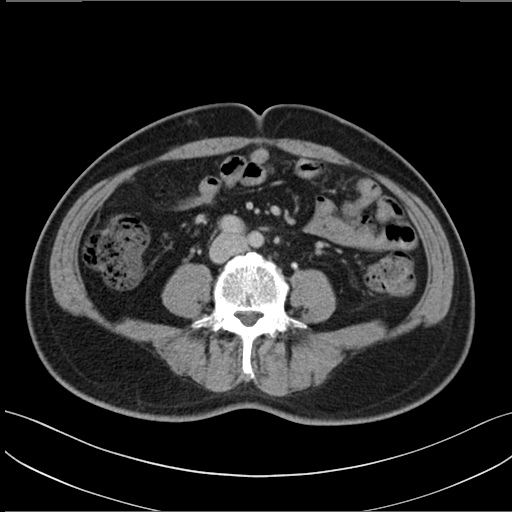
modality: multiphase abdominal CT, liver, delayed phase
patient: male, age 48